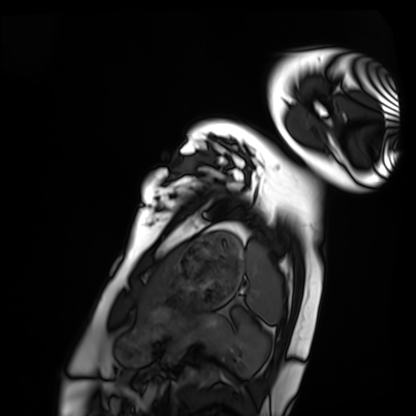
Cardiac MRI. Subject group: healthy volunteer.